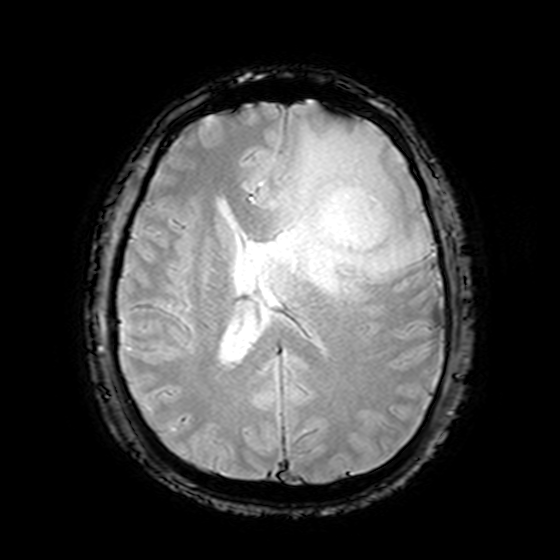
– modality: 3 Tesla brain MRI
– series: T2-weighted fast field echo
– study: ring-enhancing brain masses